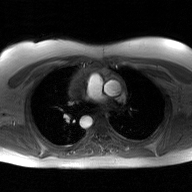
Summary: 2D phase-contrast cine MRI of the ascending aorta, GAN super-resolution reconstruction.